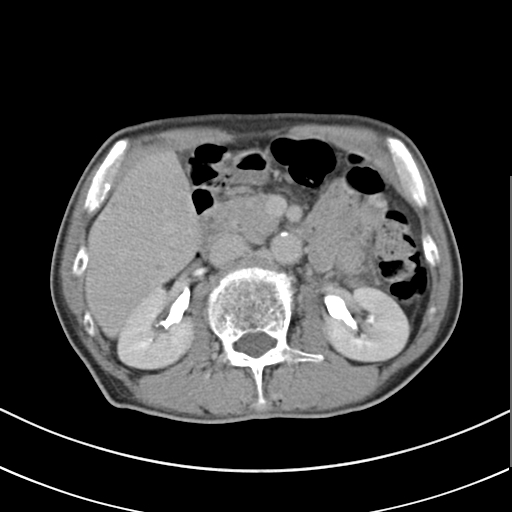
modality: multiphase abdominal CT, liver, delayed phase
patient: male, age 69